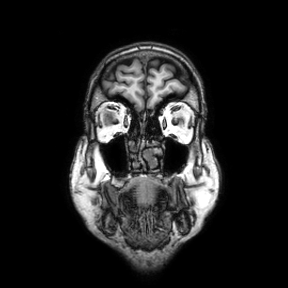
Q: What kind of scan is this?
A: 3 Tesla brain MRI.
Q: Series?
A: Coronal.
Study: ring-enhancing brain masses.